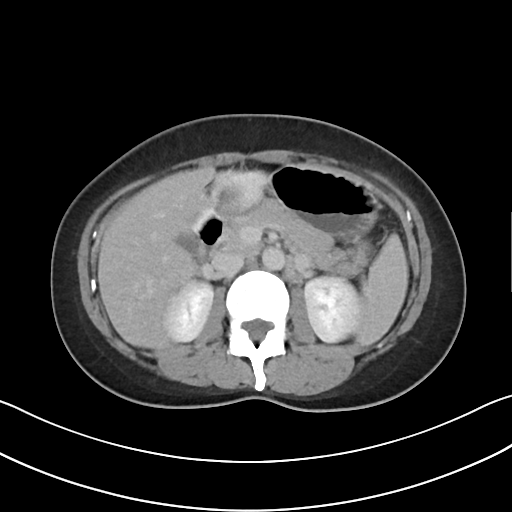
modality:
  type: multiphase abdominal CT
  region: liver
  phase: delayed
patient:
  sex: female
  age: 37